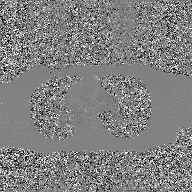
Case summary:
2D phase-contrast cine MRI of the ascending aorta, GAN super-resolution reconstruction.